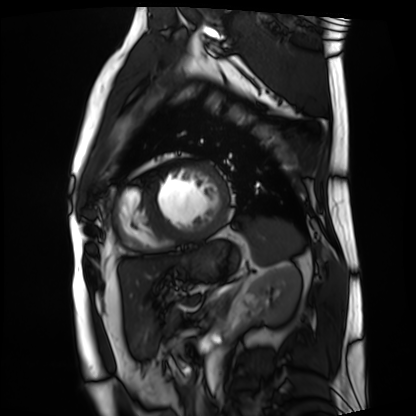
Case summary:
Cardiac MRI. Subject group: patient.